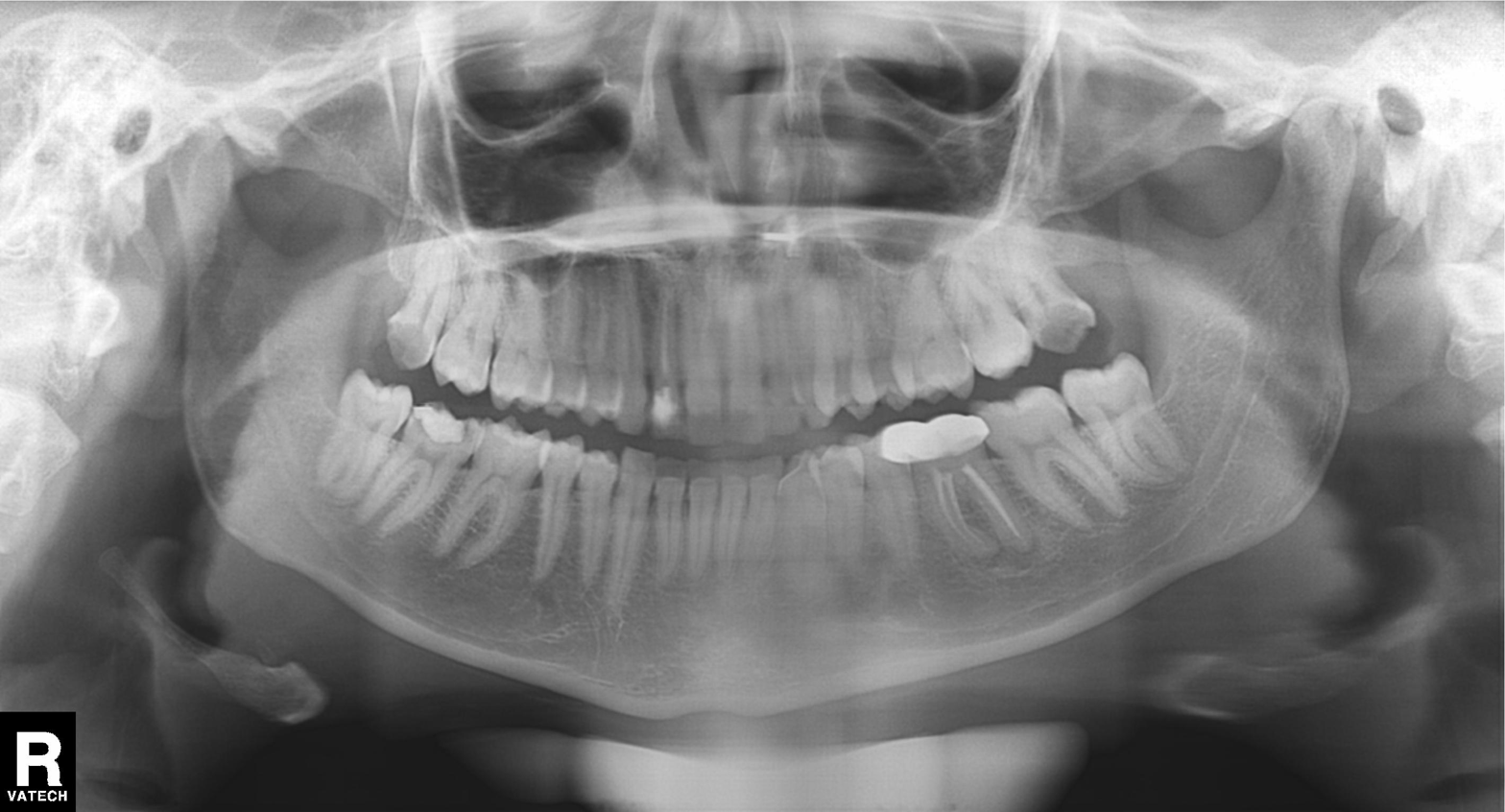
Panoramic dental radiograph (orthopantomogram). Finding: tooth impaction.